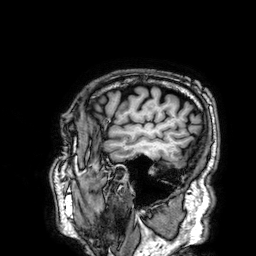
{
  "modality": {
    "type": "brain MRI",
    "field_strength": "3T"
  },
  "series": "3D T1-weighted",
  "study_topic": "ring-enhancing brain masses"
}